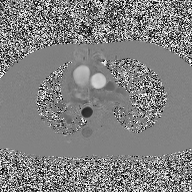
Summary:
2D phase-contrast cine MRI of the ascending aorta, high-resolution GRAPPA acquisition.